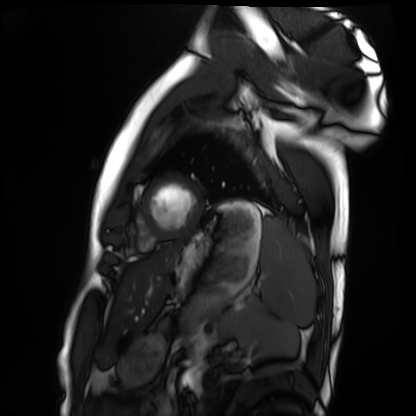
Cardiac MRI.
Subject group: healthy volunteer.